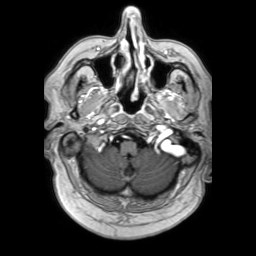
3 Tesla brain MRI. Series: 3D T1-weighted TFE with SENSE. Study: ring-enhancing brain masses.